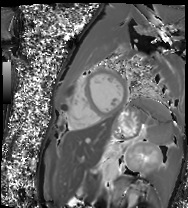
| field | value |
|---|---|
| modality | cardiac MR image of the myocardium |
| subject cohort | healthy volunteer |